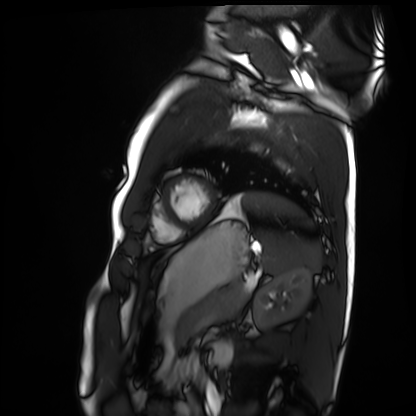
Case summary:
Cardiac MRI. Subject group: healthy volunteer.